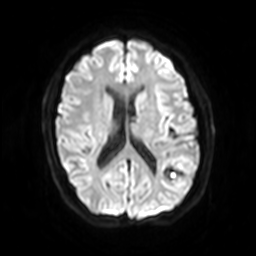
Case summary: 3 Tesla brain MRI. Series: diffusion-weighted imaging with SENSE (WIP). Study: ring-enhancing brain masses.